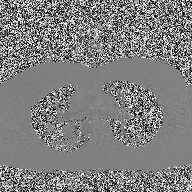
modality:
  type: 2D phase-contrast cine MRI
  region: ascending aorta
  reconstruction: high-resolution GRAPPA acquisition